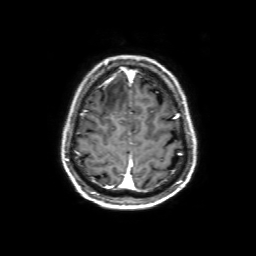
Q: What kind of scan is this?
A: 3 Tesla brain MRI.
Q: Series?
A: 3D T1-weighted with SENSE.
Study: ring-enhancing brain masses.